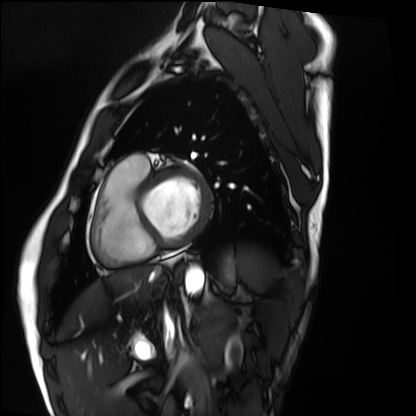
Q: What kind of scan is this?
A: Cardiac MRI.
Subject group: healthy volunteer.